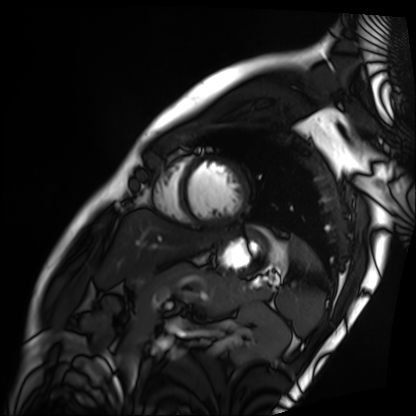
Summary: Cardiac MRI. Subject group: patient.